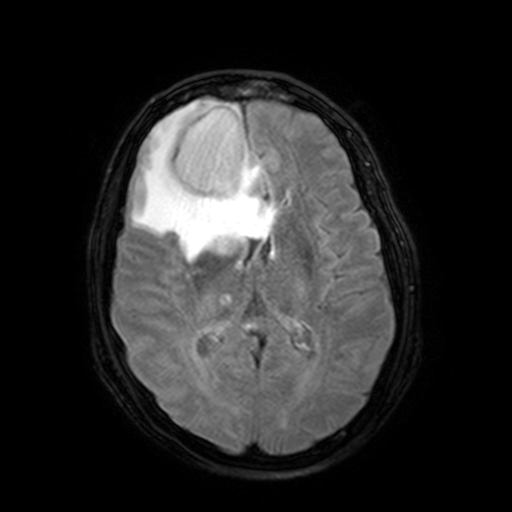
Clinical context:
3 Tesla brain MRI. Series: FLAIR with SPAIR, 3 mm. Study: ring-enhancing brain masses.